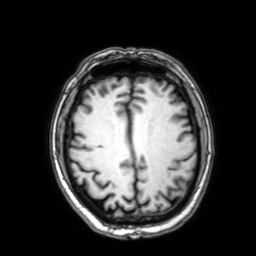
Case summary: 3 Tesla brain MRI. Series: 3D T1-weighted with SENSE. Study: ring-enhancing brain masses.